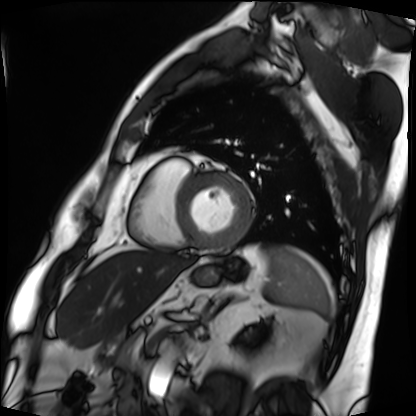
* modality · cardiac MRI
* subject group · patient